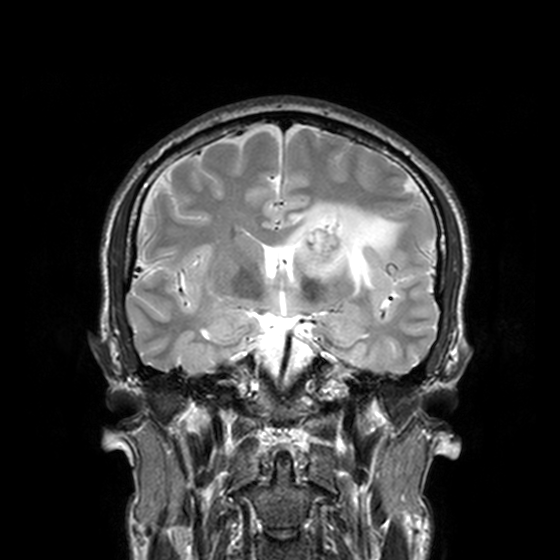
modality = 3 Tesla brain MRI; series = T2-weighted turbo spin echo, 3 mm; study = ring-enhancing brain masses.